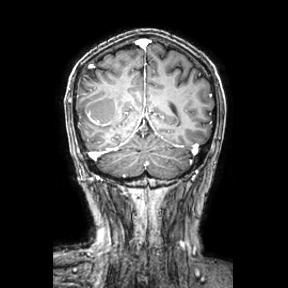
  modality:
    type: brain MRI
    field_strength: 3T
  series: coronal
  study_topic: ring-enhancing brain masses